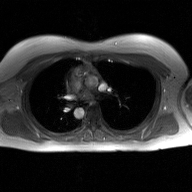
Summary:
2D phase-contrast cine MRI of the ascending aorta, GAN super-resolution reconstruction.